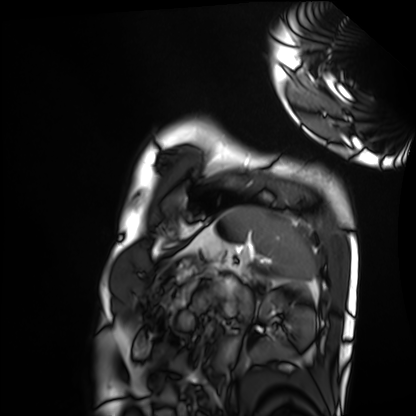
Q: What kind of scan is this?
A: Cardiac MRI.
Subject group: healthy volunteer.